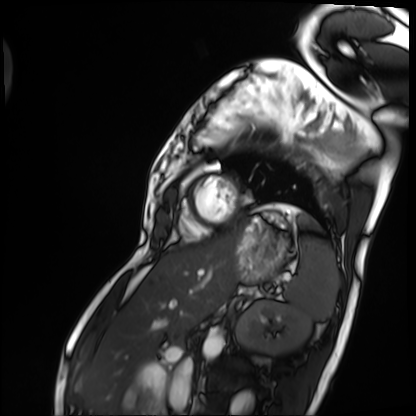
{"modality": "cardiac MRI", "cohort": "patient"}